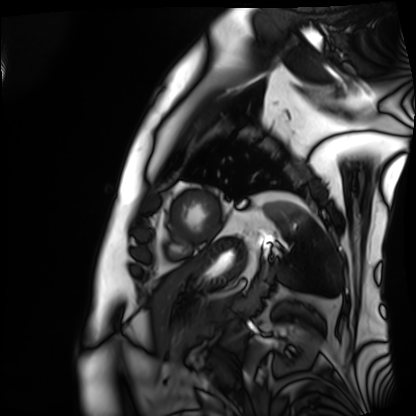
Cardiac MRI.
Subject group: patient.